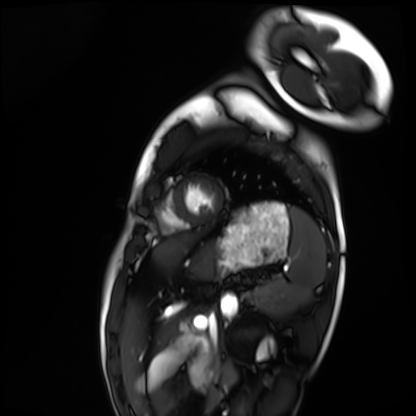
Summary: Cardiac MRI. Subject group: healthy volunteer.